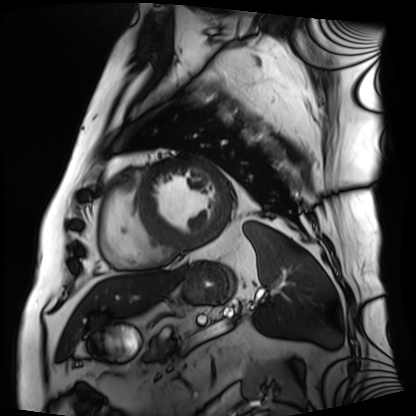
Summary: Cardiac MRI. Subject group: patient.